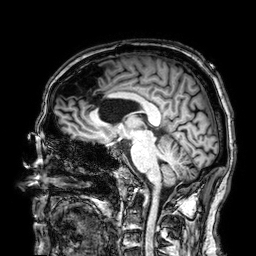
3 Tesla brain MRI. Series: 3D T1-weighted. Study: ring-enhancing brain masses.